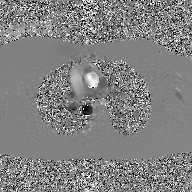
Case:
• modality: 2D phase-contrast cine MRI of the ascending aorta, GAN super-resolution reconstruction